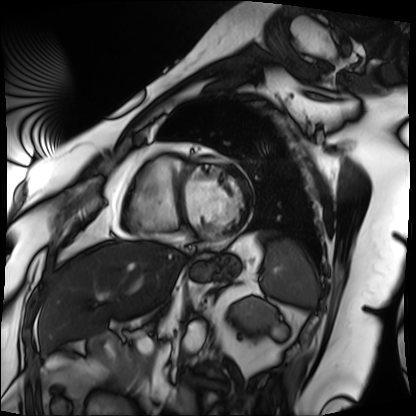
Summary: Cardiac MRI. Subject group: patient.